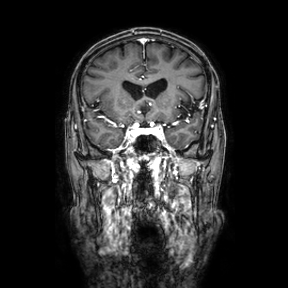
modality = 3 Tesla brain MRI | series = coronal | study = ring-enhancing brain masses.